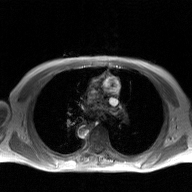
modality: 2D phase-contrast cine MRI of the ascending aorta, GAN super-resolution reconstruction